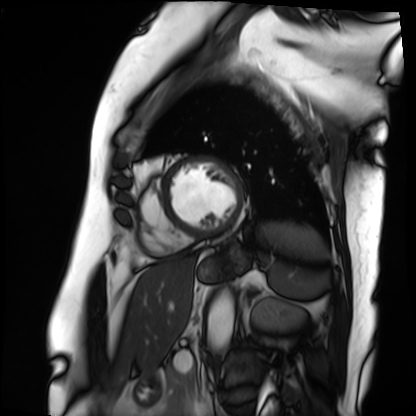
<case>
  <modality>cardiac MRI</modality>
  <cohort>patient</cohort>
</case>